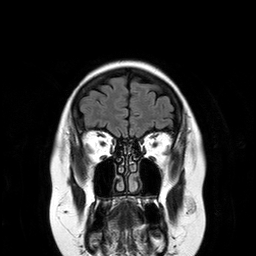
Summary:
3 Tesla brain MRI. Series: T2-weighted FLAIR. Study: ring-enhancing brain masses.